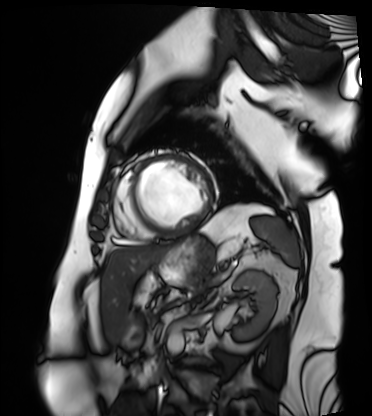
• modality — cardiac MRI
• subject group — patient